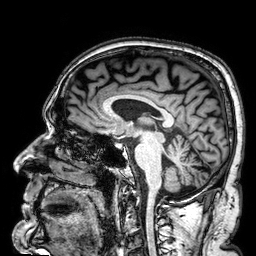
* modality — 3 Tesla brain MRI
* series — 3D T1-weighted
* study — ring-enhancing brain masses